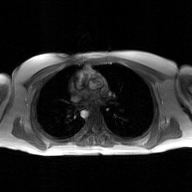
2D phase-contrast cine MRI of the ascending aorta, GAN super-resolution reconstruction.